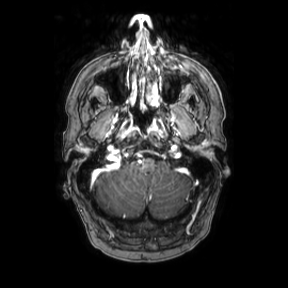
Case:
* modality — 3 Tesla brain MRI
* series — axial
* study — ring-enhancing brain masses